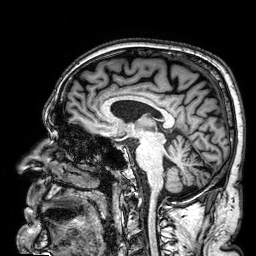
3 Tesla brain MRI. Series: 3D T1-weighted. Study: ring-enhancing brain masses.